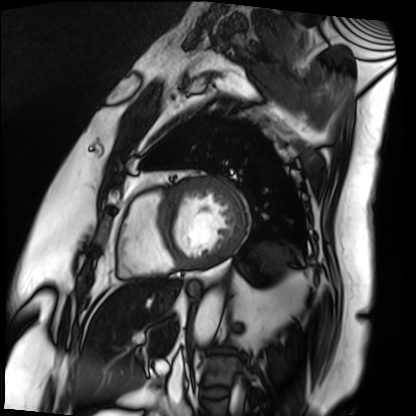
<scan>
  <modality>cardiac MRI</modality>
  <cohort>patient</cohort>
</scan>